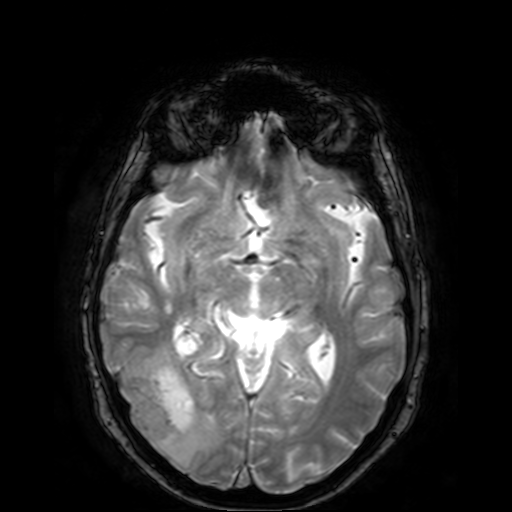
modality: 3 Tesla brain MRI | series: T2-weighted fast field echo | study: ring-enhancing brain masses.